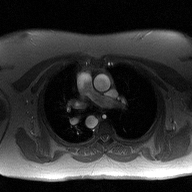
2D phase-contrast cine MRI of the ascending aorta, high-resolution GRAPPA acquisition.